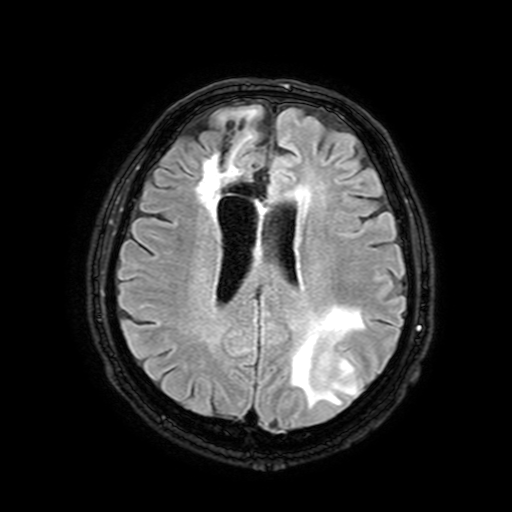
3 Tesla brain MRI. Series: FLAIR with SPAIR, 3 mm. Study: ring-enhancing brain masses.